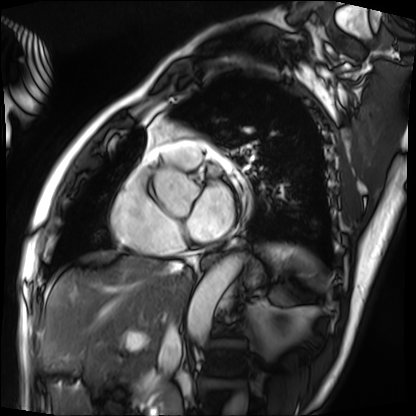
Cardiac MRI. Subject group: patient.